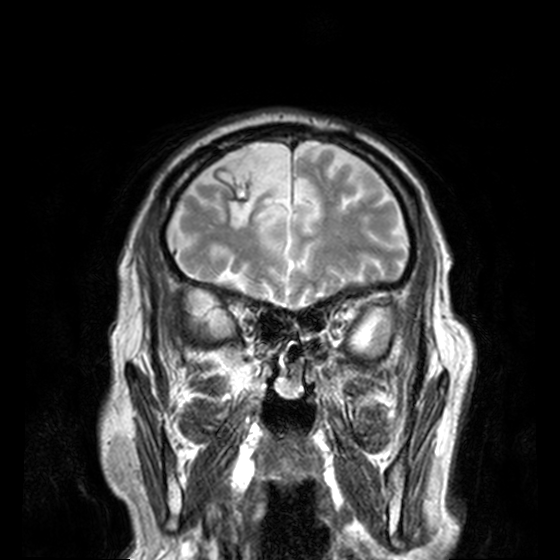
Case summary: 3 Tesla brain MRI. Series: T2-weighted turbo spin echo, 3 mm. Study: ring-enhancing brain masses.